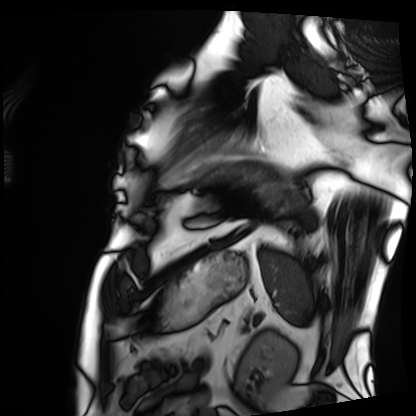
* modality — cardiac MRI
* subject group — patient